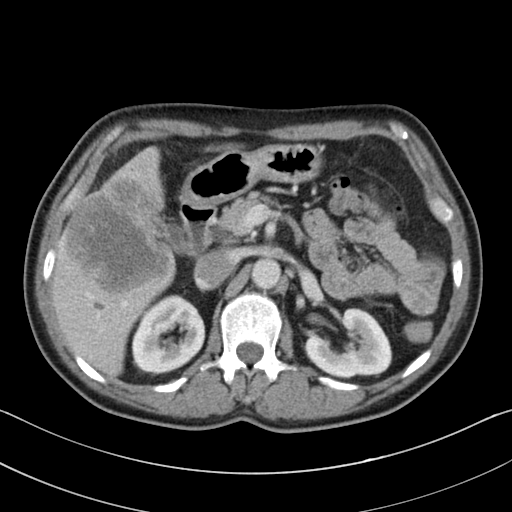
Clinical context:
Multiphase abdominal CT, liver, portal venous phase. Patient: male, age 55.